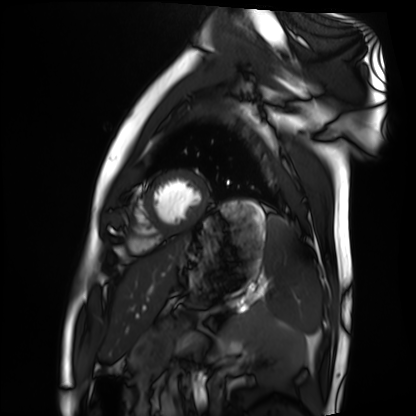
| field | value |
|---|---|
| modality | cardiac MRI |
| subject group | healthy volunteer |